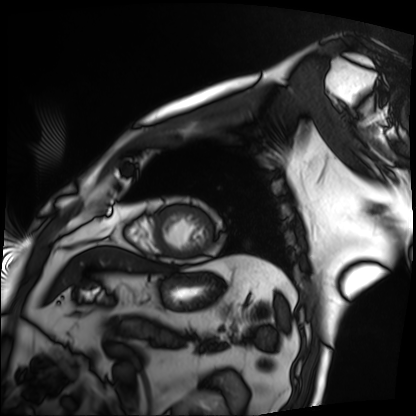
Clinical context: Cardiac MRI. Subject group: patient.